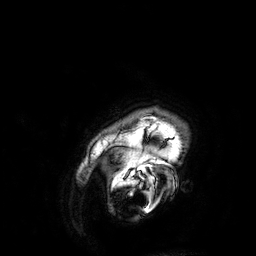
| field | value |
|---|---|
| modality | 3 Tesla brain MRI |
| series | 3D T1-weighted |
| study | ring-enhancing brain masses |